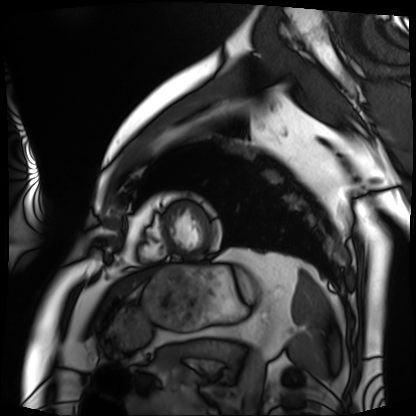
Cardiac MRI.
Subject group: patient.